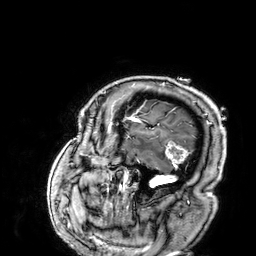
3 Tesla brain MRI. Series: 3D T1-weighted. Study: ring-enhancing brain masses.